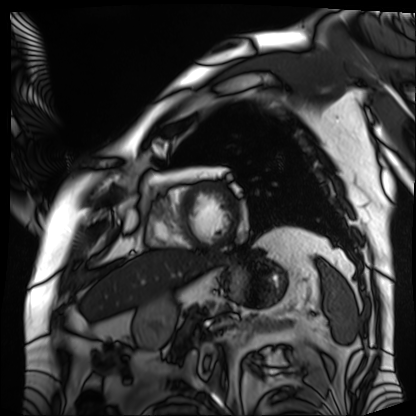
Q: What kind of scan is this?
A: Cardiac MRI.
Subject group: patient.